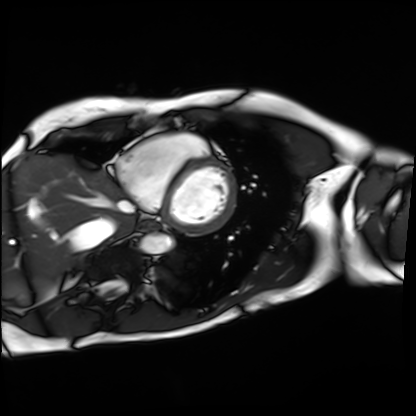
modality: cardiac MRI
cohort: patient